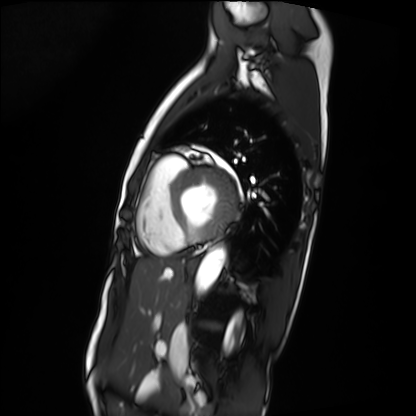
Cardiac MRI. Subject group: patient.